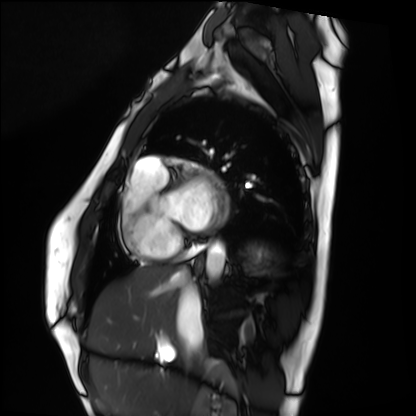
Cardiac MRI. Subject group: healthy volunteer.